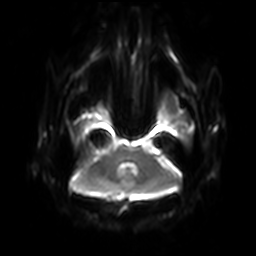
modality = 3 Tesla brain MRI
series = diffusion-weighted imaging with SENSE (WIP)
study = ring-enhancing brain masses